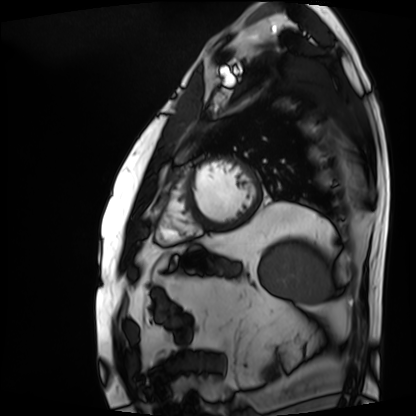
Cardiac MRI. Subject group: patient.